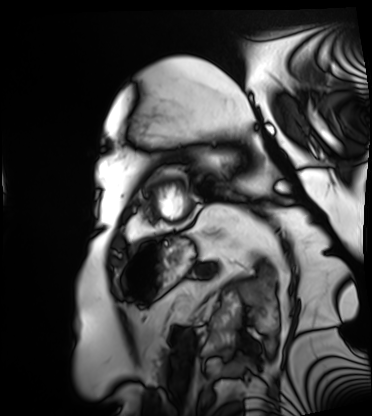
Cardiac MRI. Subject group: patient.